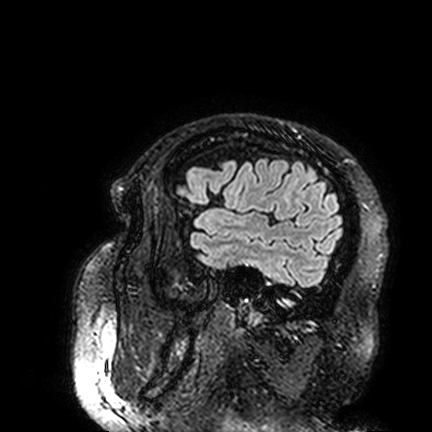
3 Tesla brain MRI.
Series: FLAIR VISTA.
Study: ring-enhancing brain masses.